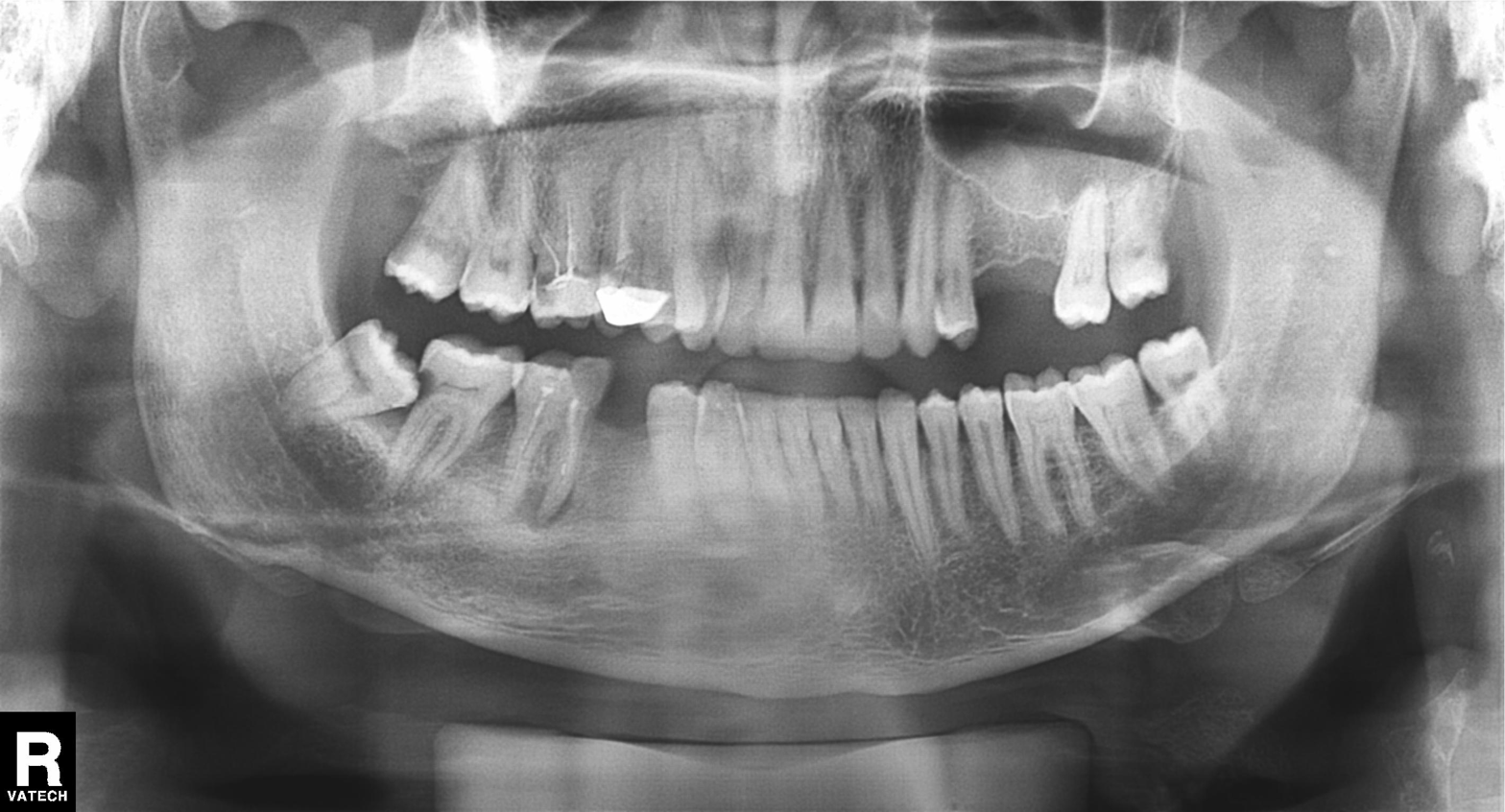
modality = panoramic dental radiograph (orthopantomogram) | finding = dental caries (cavities).